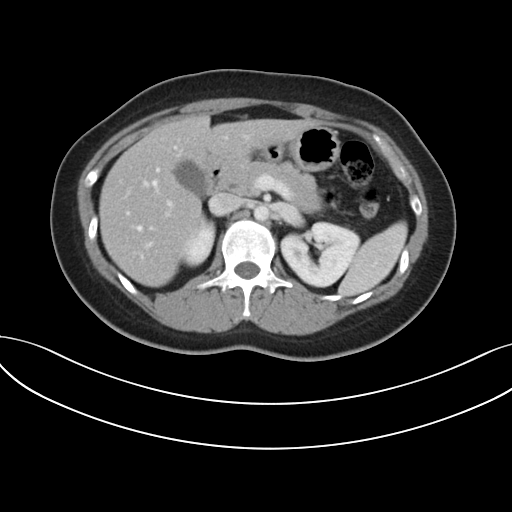
• modality — multiphase abdominal CT, liver, portal venous phase
• patient — female, age 30